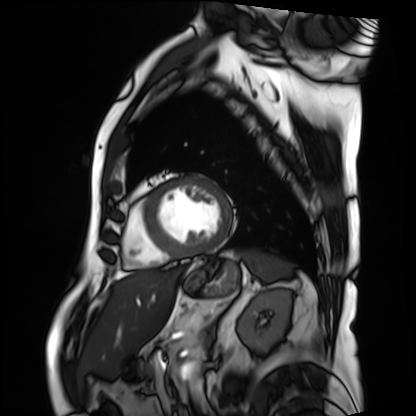
modality = cardiac MRI; subject group = patient.